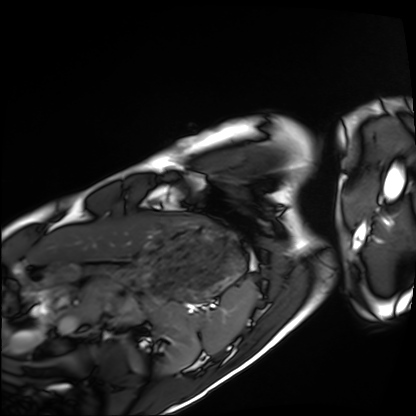
<record>
  <modality>cardiac MRI</modality>
  <cohort>healthy volunteer</cohort>
</record>